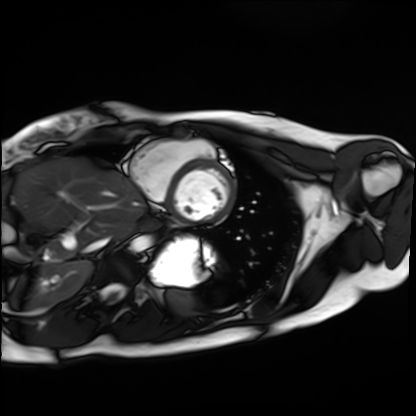
Case summary: Cardiac MRI. Subject group: healthy volunteer.